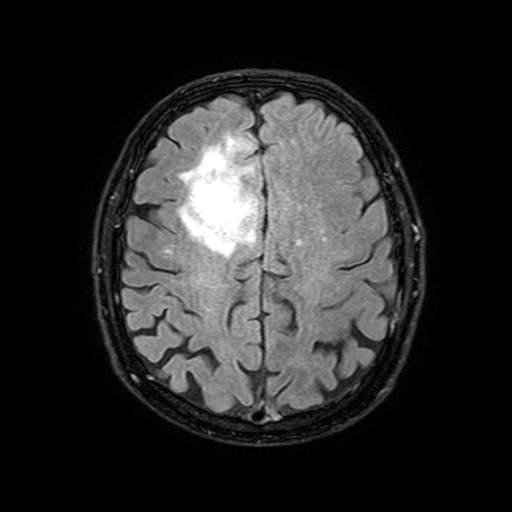
3 Tesla brain MRI.
Series: FLAIR with SPAIR, 3 mm.
Study: ring-enhancing brain masses.